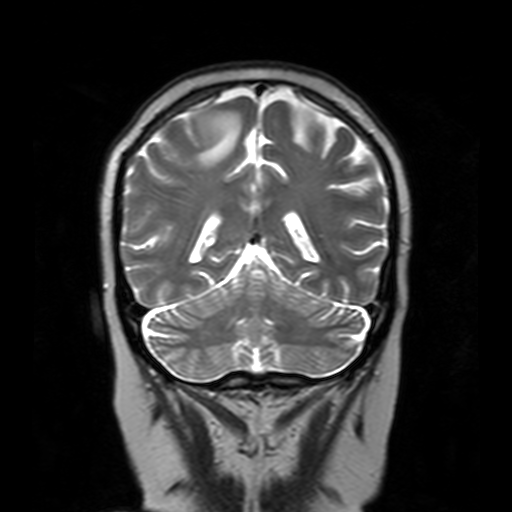
modality: 3 Tesla brain MRI; series: T2-weighted turbo spin echo with SENSE; study: ring-enhancing brain masses.